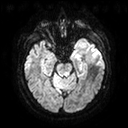
Q: What kind of scan is this?
A: 3 Tesla brain MRI.
Q: Series?
A: Diffusion tensor imaging (medium iso).
Study: ring-enhancing brain masses.